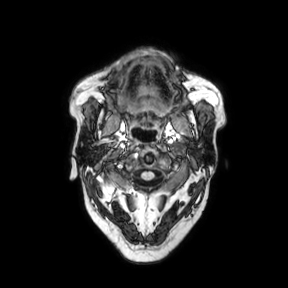
modality = 3 Tesla brain MRI; series = axial; study = ring-enhancing brain masses.